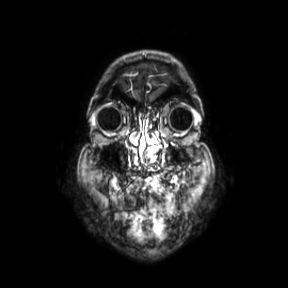
3 Tesla brain MRI. Series: coronal. Study: ring-enhancing brain masses.